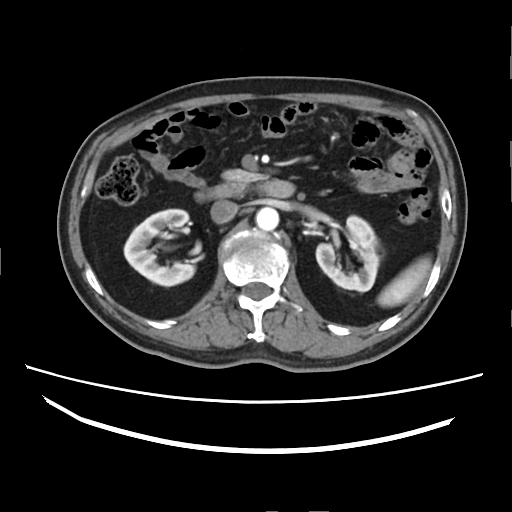
Case summary:
Multiphase abdominal CT, liver, arterial phase. Patient: male, age 61. History: cirrhosis, viral hepatitis, prior chemotherapy.